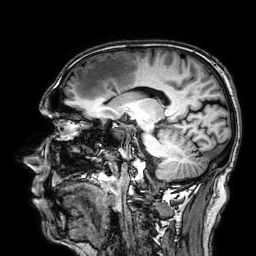
modality: 3 Tesla brain MRI; study: ring-enhancing brain masses.